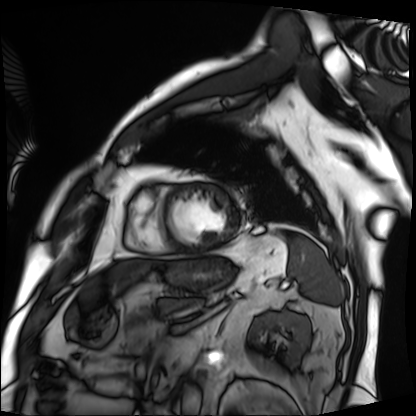
| field | value |
|---|---|
| modality | cardiac MRI |
| subject group | patient |